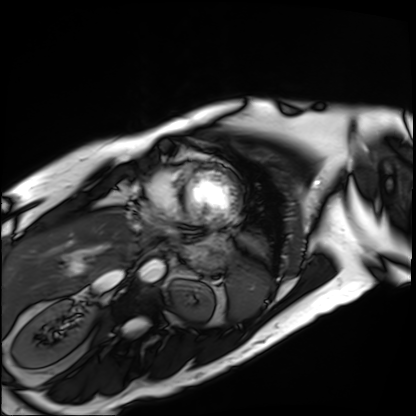
* modality: cardiac MRI
* subject group: patient